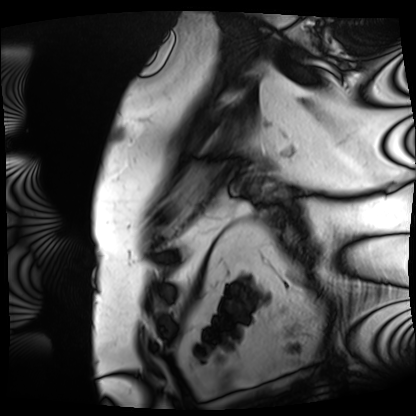
Case summary: Cardiac MRI. Subject group: patient.